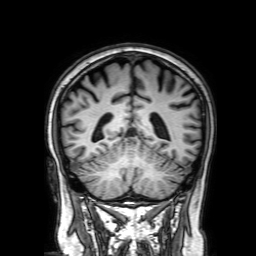
Case:
* modality — 3 Tesla brain MRI
* series — 3D T1-weighted with SENSE
* study — ring-enhancing brain masses